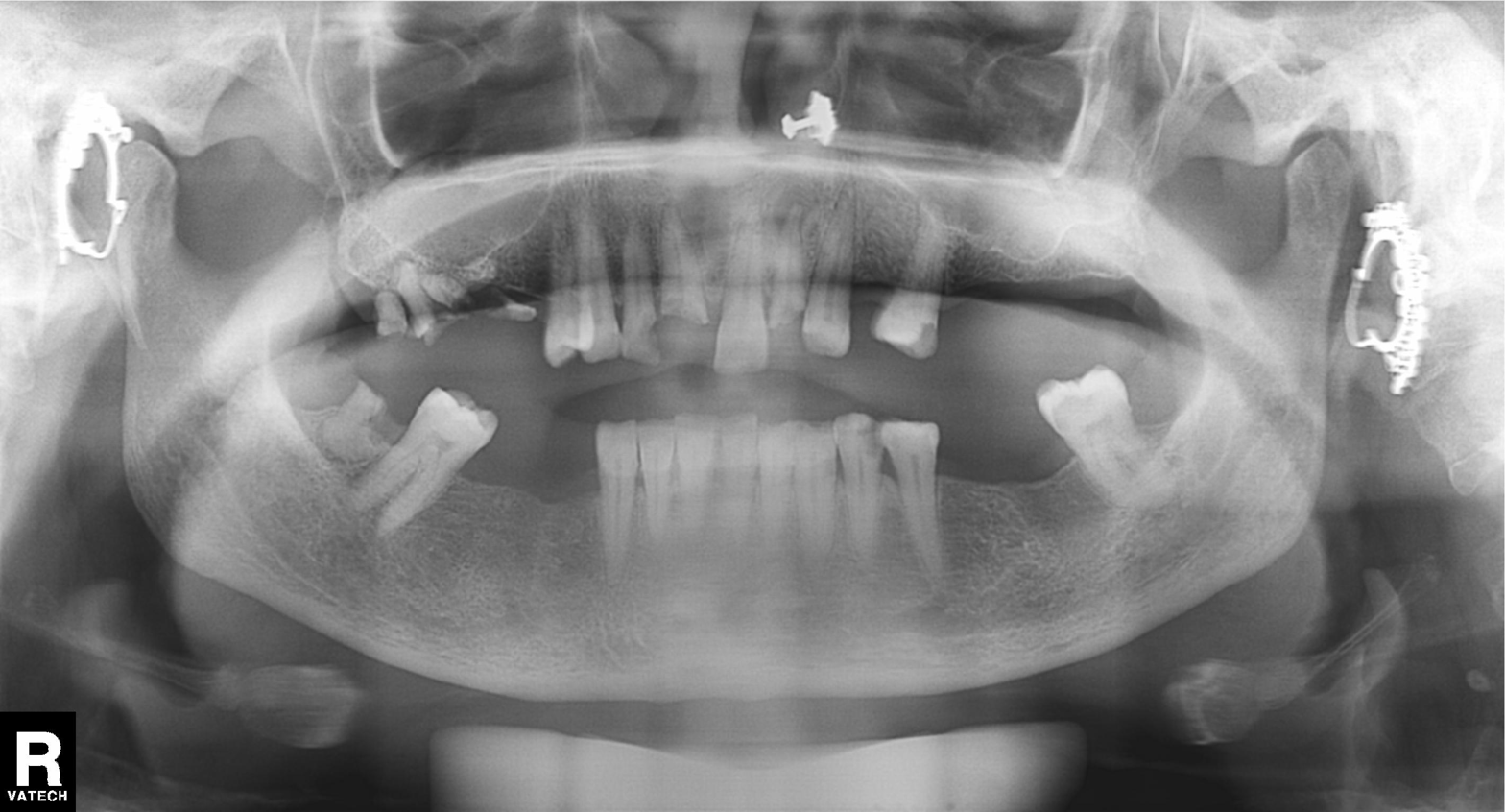
Findings:
– modality · panoramic dental radiograph (orthopantomogram)
– finding · tooth impaction